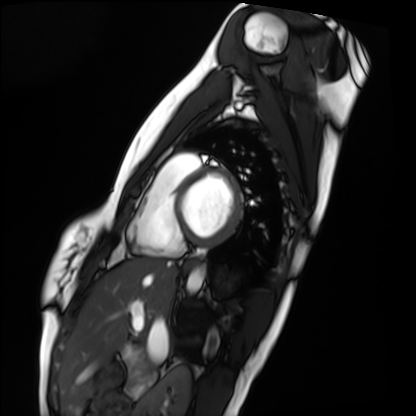
Cardiac MRI. Subject group: healthy volunteer.